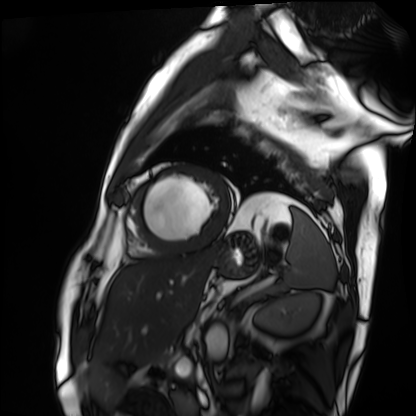
Cardiac MRI.
Subject group: patient.